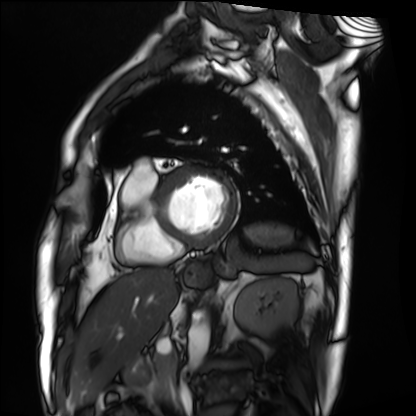
Cardiac MRI.
Subject group: patient.